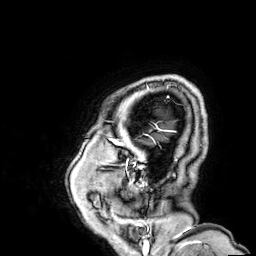
3 Tesla brain MRI. Series: 3D T1-weighted. Study: ring-enhancing brain masses.